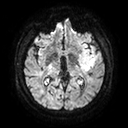
Summary: 3 Tesla brain MRI. Study: ring-enhancing brain masses.